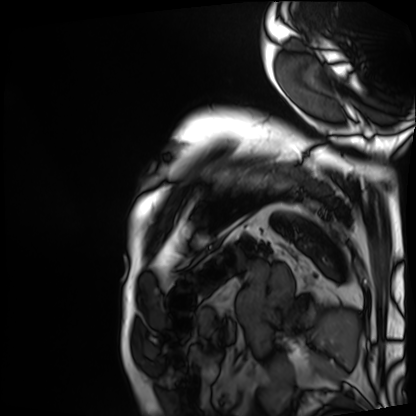
| field | value |
|---|---|
| modality | cardiac MRI |
| subject group | patient |